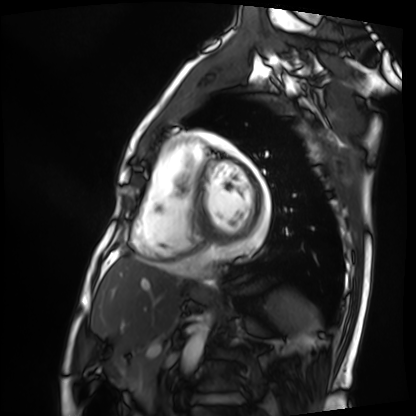
modality = cardiac MRI, subject group = patient.